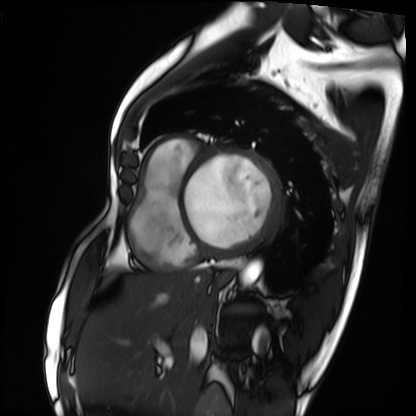
Cardiac MRI. Subject group: patient.